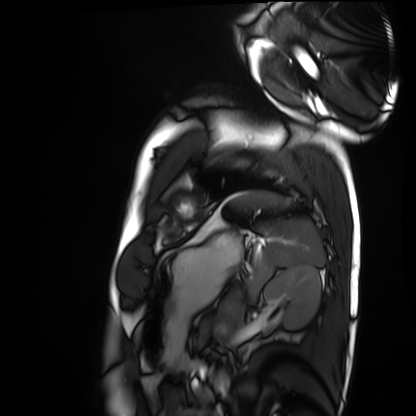
Cardiac MRI.
Subject group: healthy volunteer.